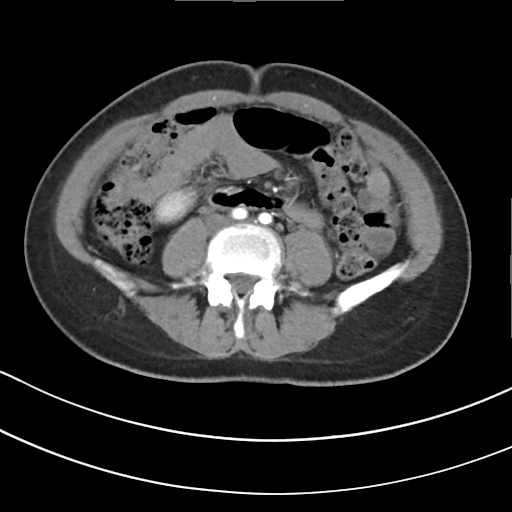
Multiphase abdominal CT, liver, arterial phase. Patient: female, age 43. History: viral hepatitis.